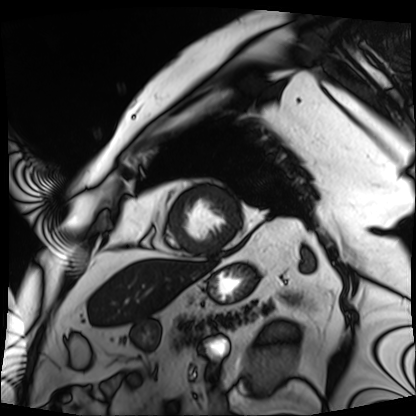
modality: cardiac MRI | subject group: patient.